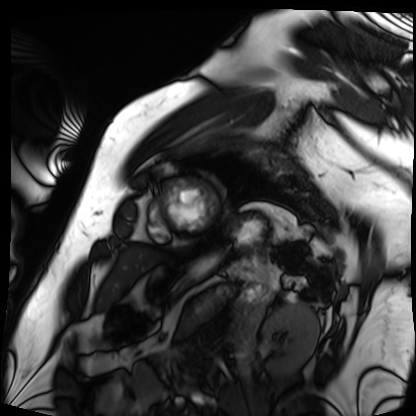
Cardiac MRI. Subject group: patient.